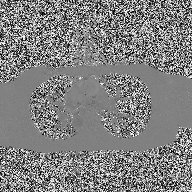
Case summary:
2D phase-contrast cine MRI of the ascending aorta, high-resolution GRAPPA acquisition.